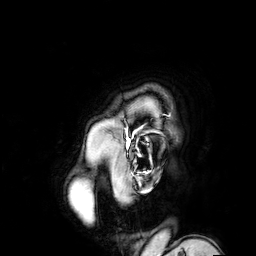
modality:
  type: brain MRI
  field_strength: 3T
series: 3D T1-weighted turbo field echo with SENSE
study_topic: ring-enhancing brain masses